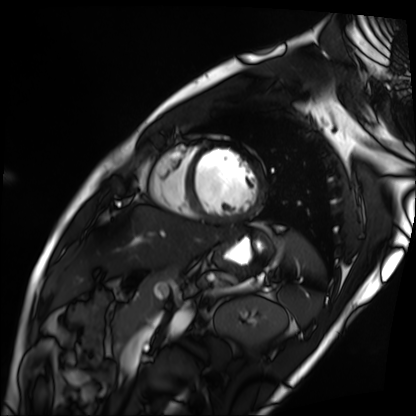
| field | value |
|---|---|
| modality | cardiac MRI |
| subject group | patient |